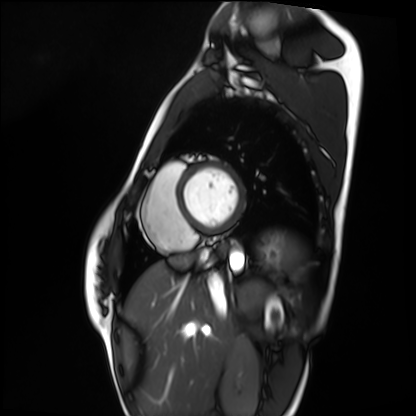
Summary:
Cardiac MRI. Subject group: healthy volunteer.